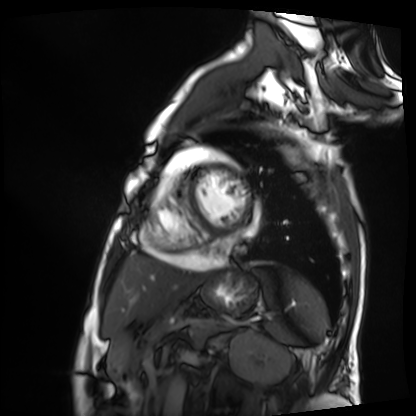
Cardiac MRI. Subject group: patient.